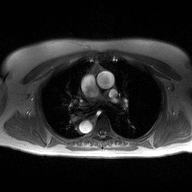
* modality · 2D phase-contrast cine MRI of the ascending aorta